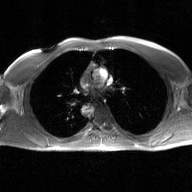
2D phase-contrast cine MRI of the ascending aorta, GAN super-resolution reconstruction.